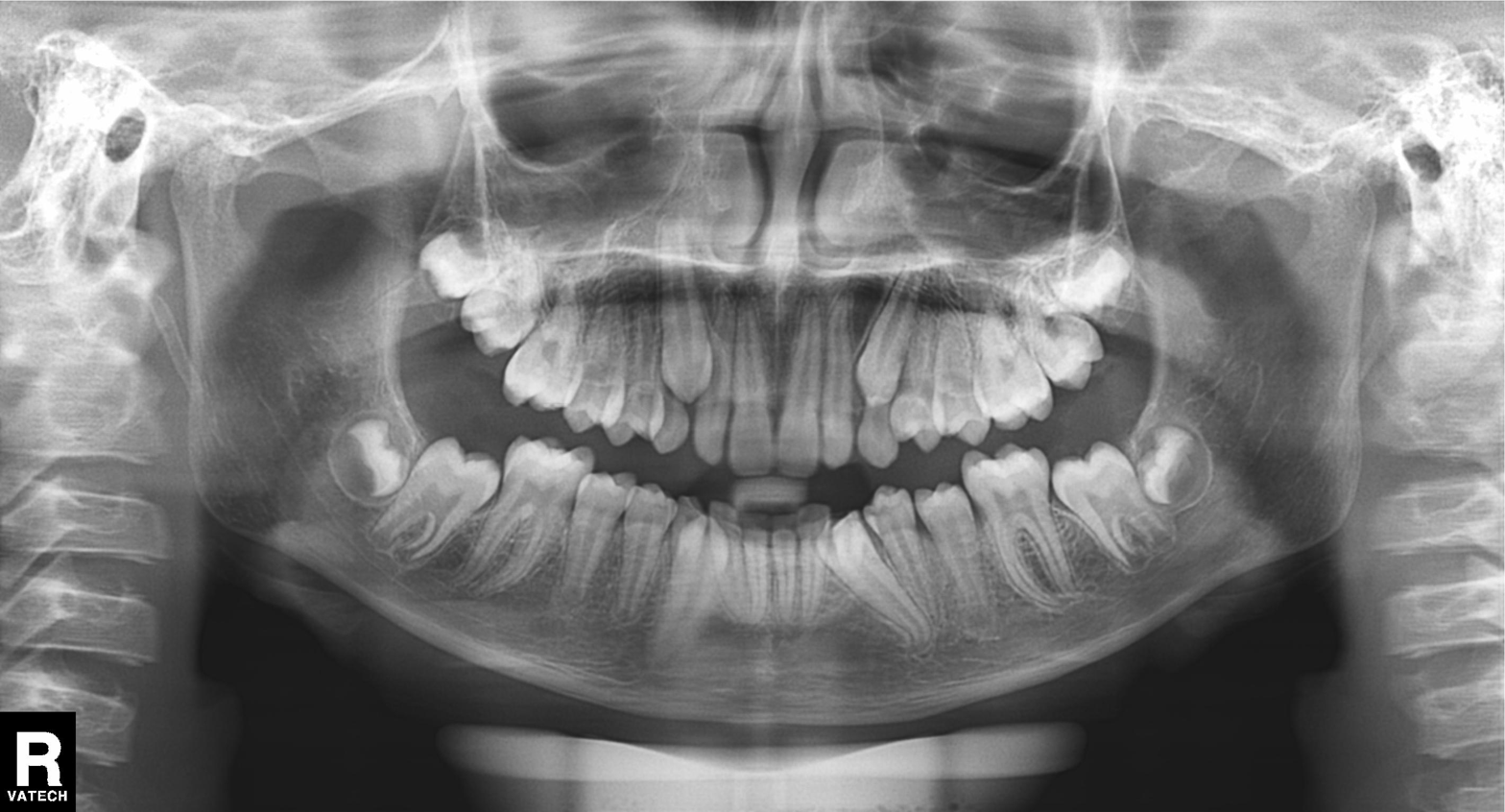
<record>
  <modality>panoramic dental radiograph (orthopantomogram)</modality>
  <finding>tooth impaction</finding>
</record>